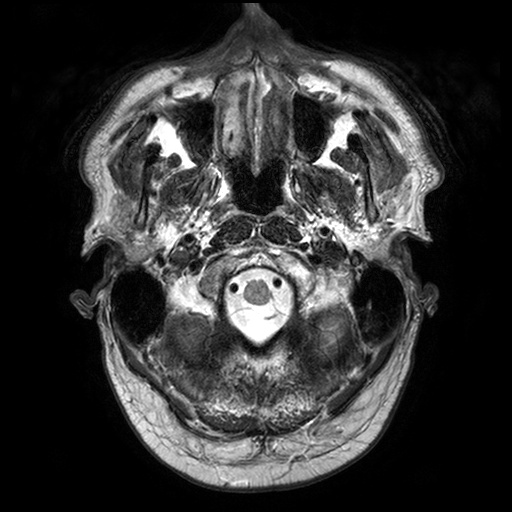
modality=3 Tesla brain MRI; series=T2-weighted turbo spin echo with SENSE; study=ring-enhancing brain masses.